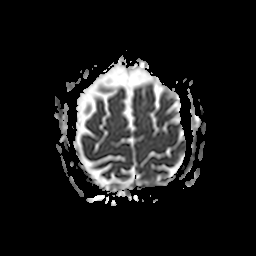
3 Tesla brain MRI. Study: ring-enhancing brain masses.